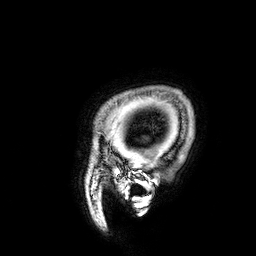
modality: 3 Tesla brain MRI | series: 3D T1-weighted | study: ring-enhancing brain masses.